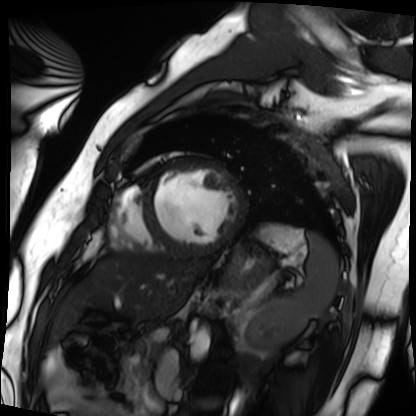
Q: What kind of scan is this?
A: Cardiac MRI.
Subject group: patient.